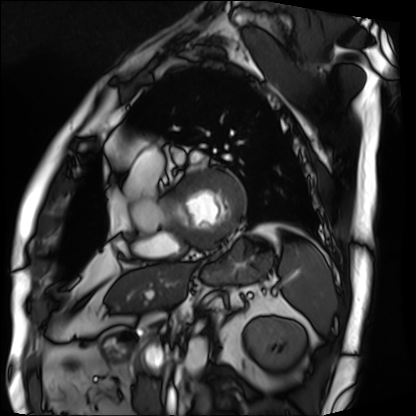
modality = cardiac MRI, subject group = patient.